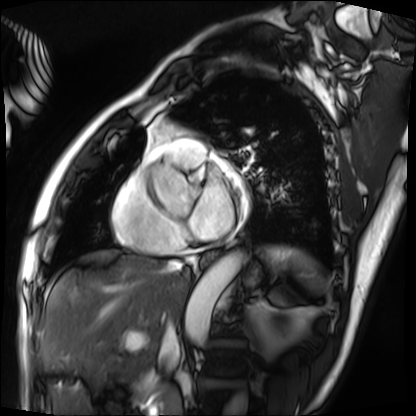
modality = cardiac MRI
subject group = patient